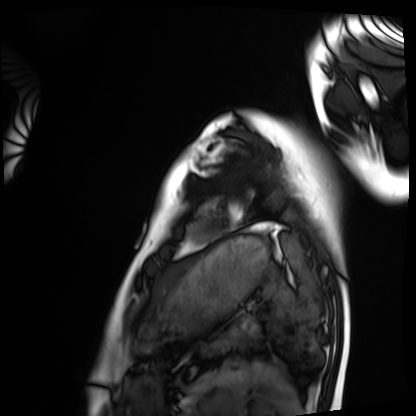
Cardiac MRI.
Subject group: healthy volunteer.